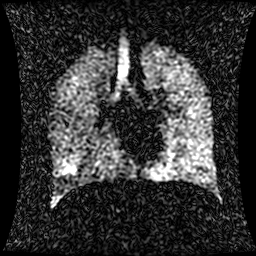
Hyperpolarized 129Xe ventilation MRI of the lungs. SNR level 1 of 8 (the deposit holds this scan as its native image and as seven SNR-degraded versions).